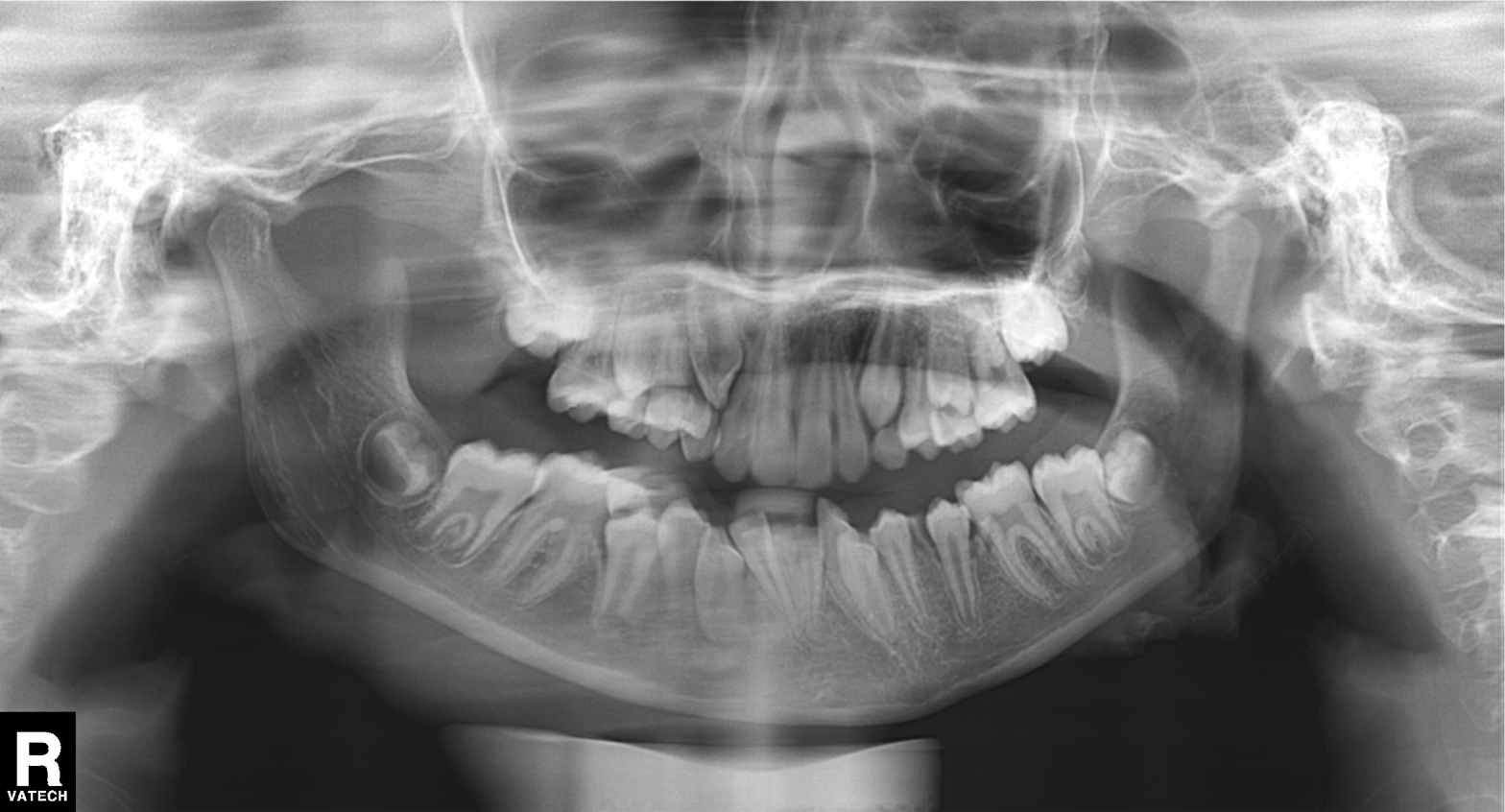
Case summary:
Panoramic dental radiograph (orthopantomogram).
Diagnosis:
Alveolar bone loss.